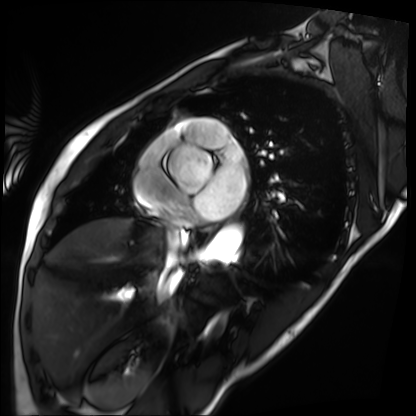
Case:
• modality — cardiac MRI
• subject group — patient